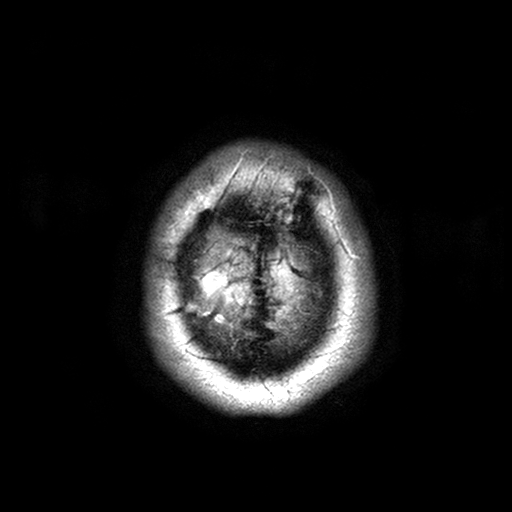
Clinical context: 3 Tesla brain MRI. Series: T2-weighted turbo spin echo with SENSE. Study: ring-enhancing brain masses.